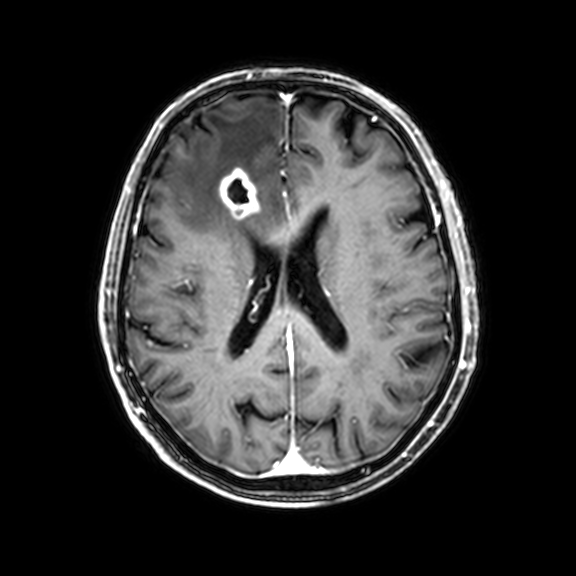
Case:
* modality: 3 Tesla brain MRI
* series: 3D T1-weighted with CLEAR
* study: ring-enhancing brain masses